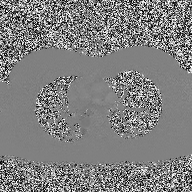
  modality:
    type: 2D phase-contrast cine MRI
    region: ascending aorta
    reconstruction: high-resolution GRAPPA acquisition